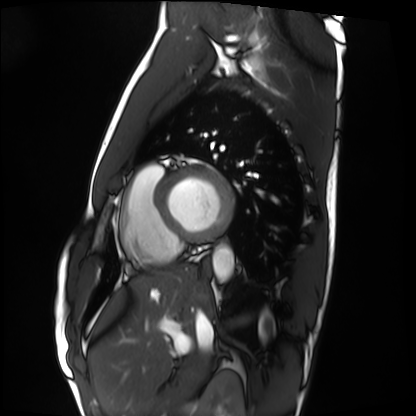
Cardiac MRI. Subject group: healthy volunteer.